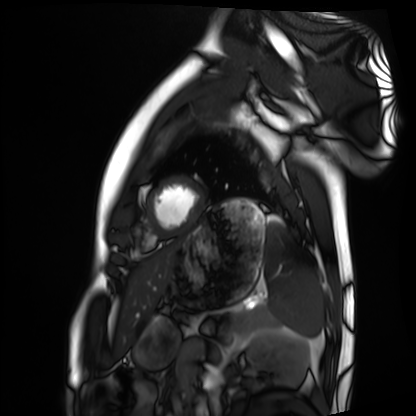
| field | value |
|---|---|
| modality | cardiac MRI |
| subject group | healthy volunteer |